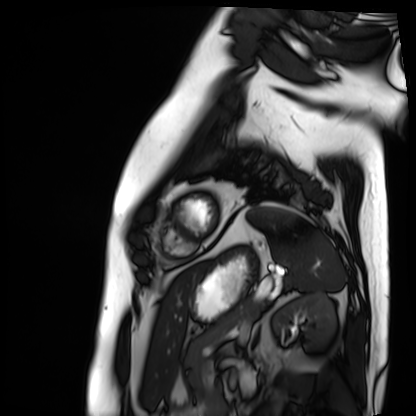
Cardiac MRI. Subject group: patient.